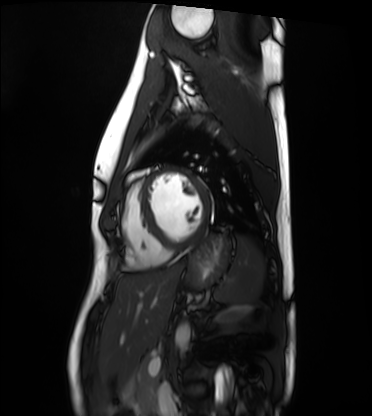
Cardiac MRI. Subject group: healthy volunteer.